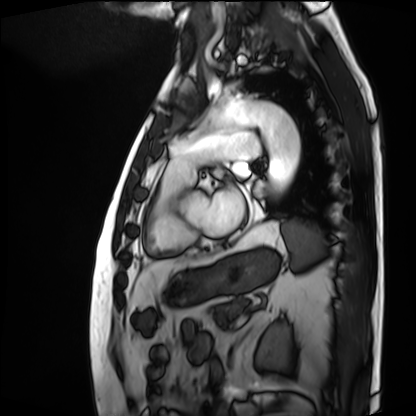
modality: cardiac MRI
cohort: patient